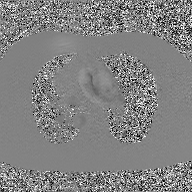
Clinical context:
2D phase-contrast cine MRI of the ascending aorta, GAN super-resolution reconstruction.